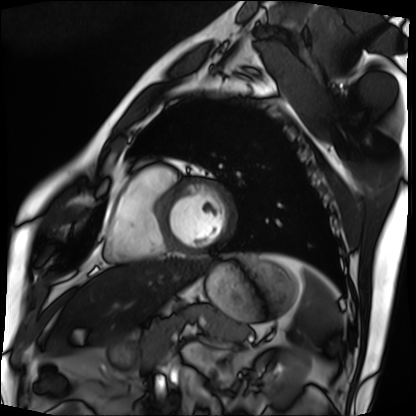
Case:
– modality: cardiac MRI
– subject group: patient